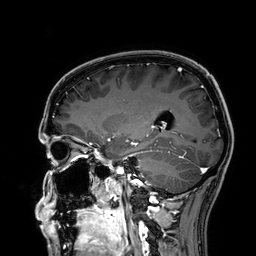
3 Tesla brain MRI.
Series: 3D T1-weighted.
Study: ring-enhancing brain masses.